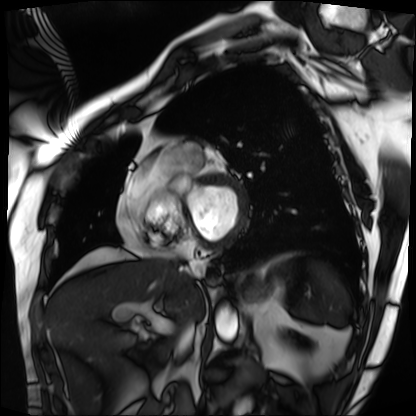
{
  "modality": "cardiac MRI",
  "cohort": "patient"
}